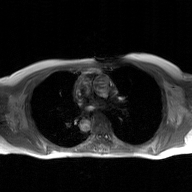
modality: 2D phase-contrast cine MRI of the ascending aorta, GAN super-resolution reconstruction.